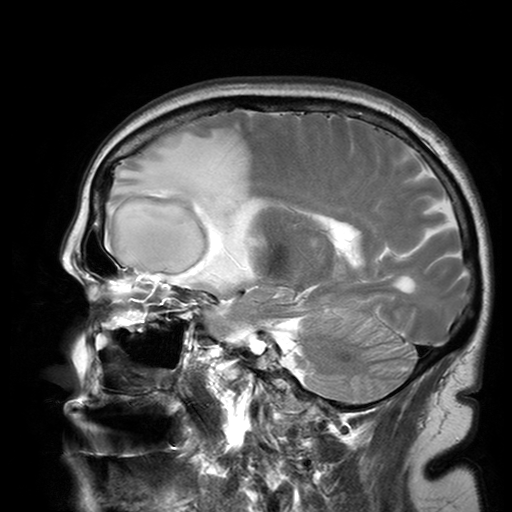
3 Tesla brain MRI. Series: T2-weighted turbo spin echo with SENSE. Study: ring-enhancing brain masses.